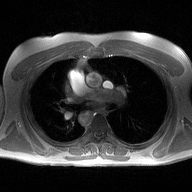
Q: What kind of scan is this?
A: 2D phase-contrast cine MRI of the ascending aorta.